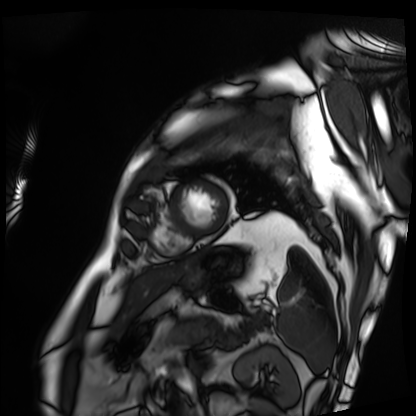
Cardiac MRI. Subject group: patient.